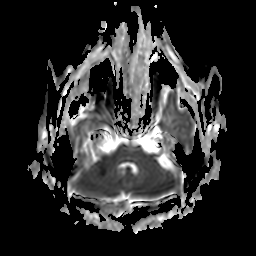
3 Tesla brain MRI. Series: apparent diffusion coefficient (ADC) map. Study: ring-enhancing brain masses.